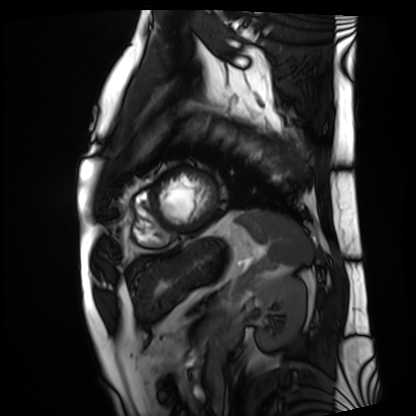
<study>
  <modality>cardiac MRI</modality>
  <cohort>patient</cohort>
</study>